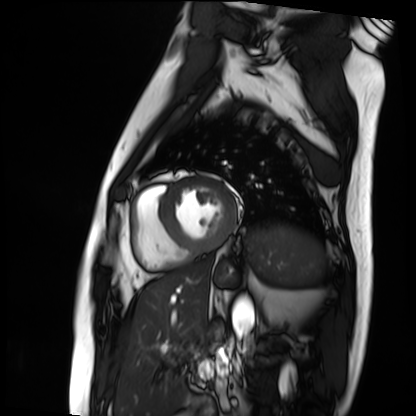
Cardiac MRI.
Subject group: patient.